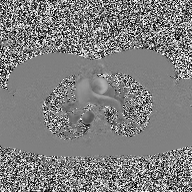
2D phase-contrast cine MRI of the ascending aorta, high-resolution GRAPPA acquisition.